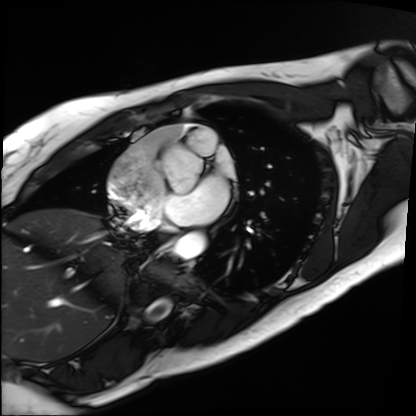
Summary: Cardiac MRI. Subject group: patient.